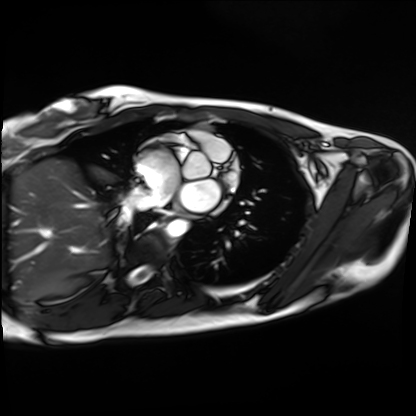
Cardiac MRI. Subject group: healthy volunteer.